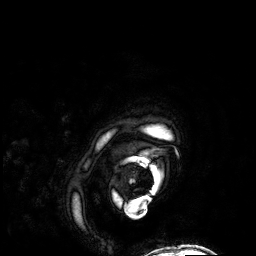
3 Tesla brain MRI.
Series: 3D T1-weighted.
Study: ring-enhancing brain masses.